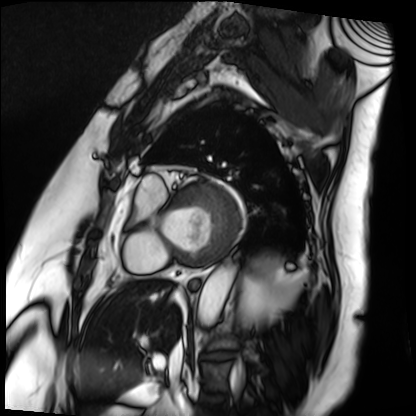
Clinical context: Cardiac MRI. Subject group: patient.